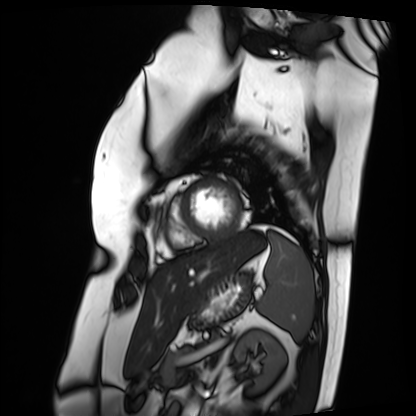
Q: What kind of scan is this?
A: Cardiac MRI.
Subject group: patient.